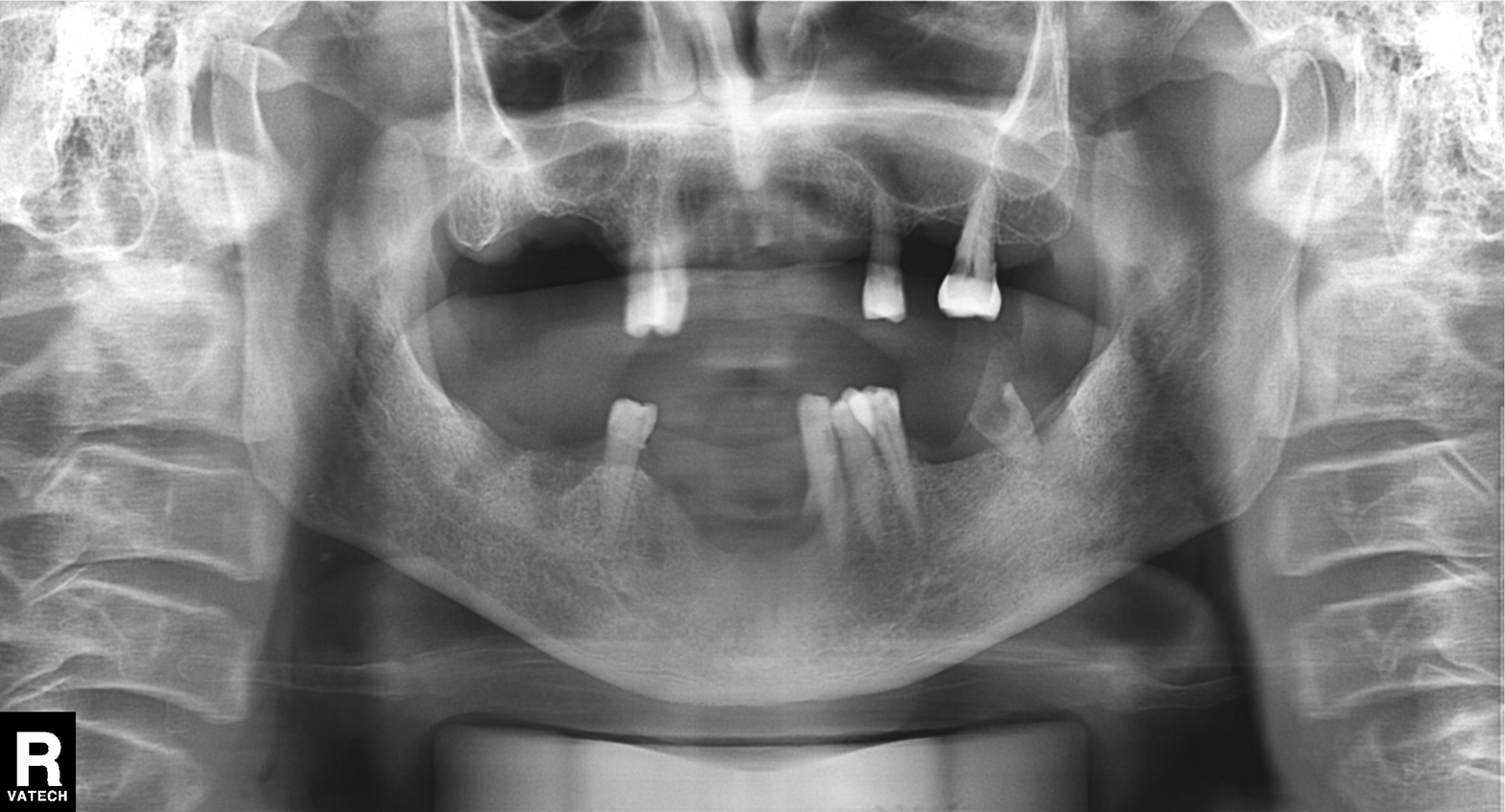
modality=panoramic dental radiograph (orthopantomogram); finding=tooth impaction.